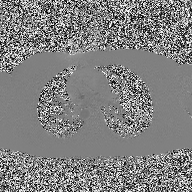
Case summary: 2D phase-contrast cine MRI of the ascending aorta, high-resolution GRAPPA acquisition.